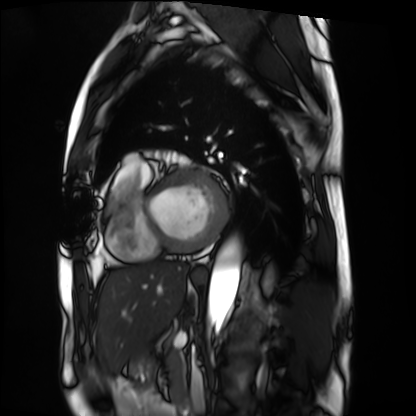
modality: cardiac MRI
cohort: patient